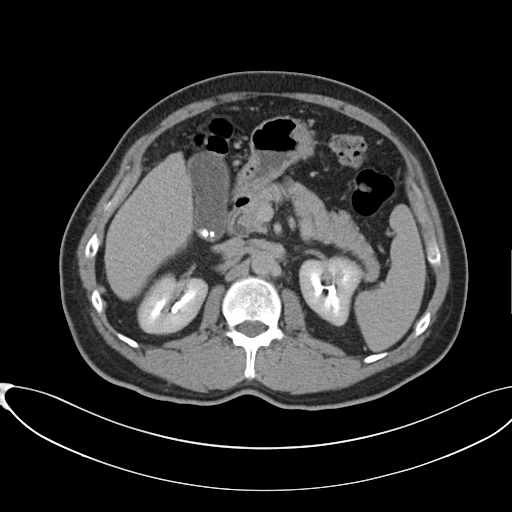
Multiphase abdominal CT, liver, delayed phase.
Patient: male, age 60.
History: cirrhosis, viral hepatitis.